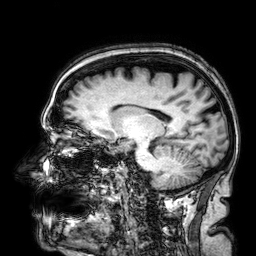
modality: 3 Tesla brain MRI | series: 3D T1-weighted | study: ring-enhancing brain masses.